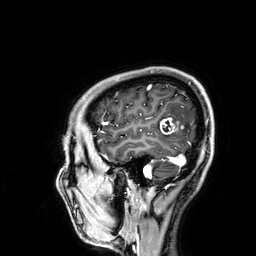
Summary: 3 Tesla brain MRI. Study: ring-enhancing brain masses.